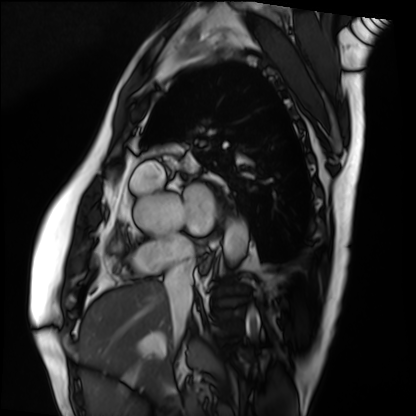
<case>
<modality>cardiac MRI</modality>
<cohort>patient</cohort>
</case>